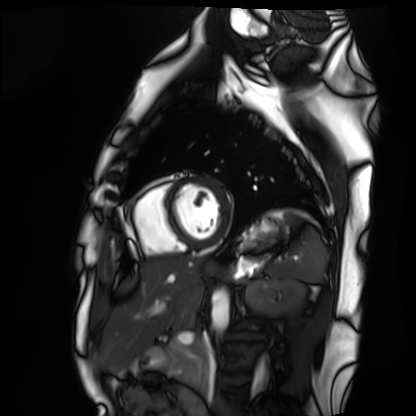
Cardiac MRI. Subject group: healthy volunteer.